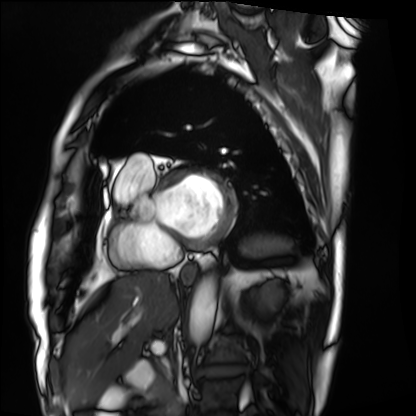
- modality — cardiac MRI
- subject group — patient